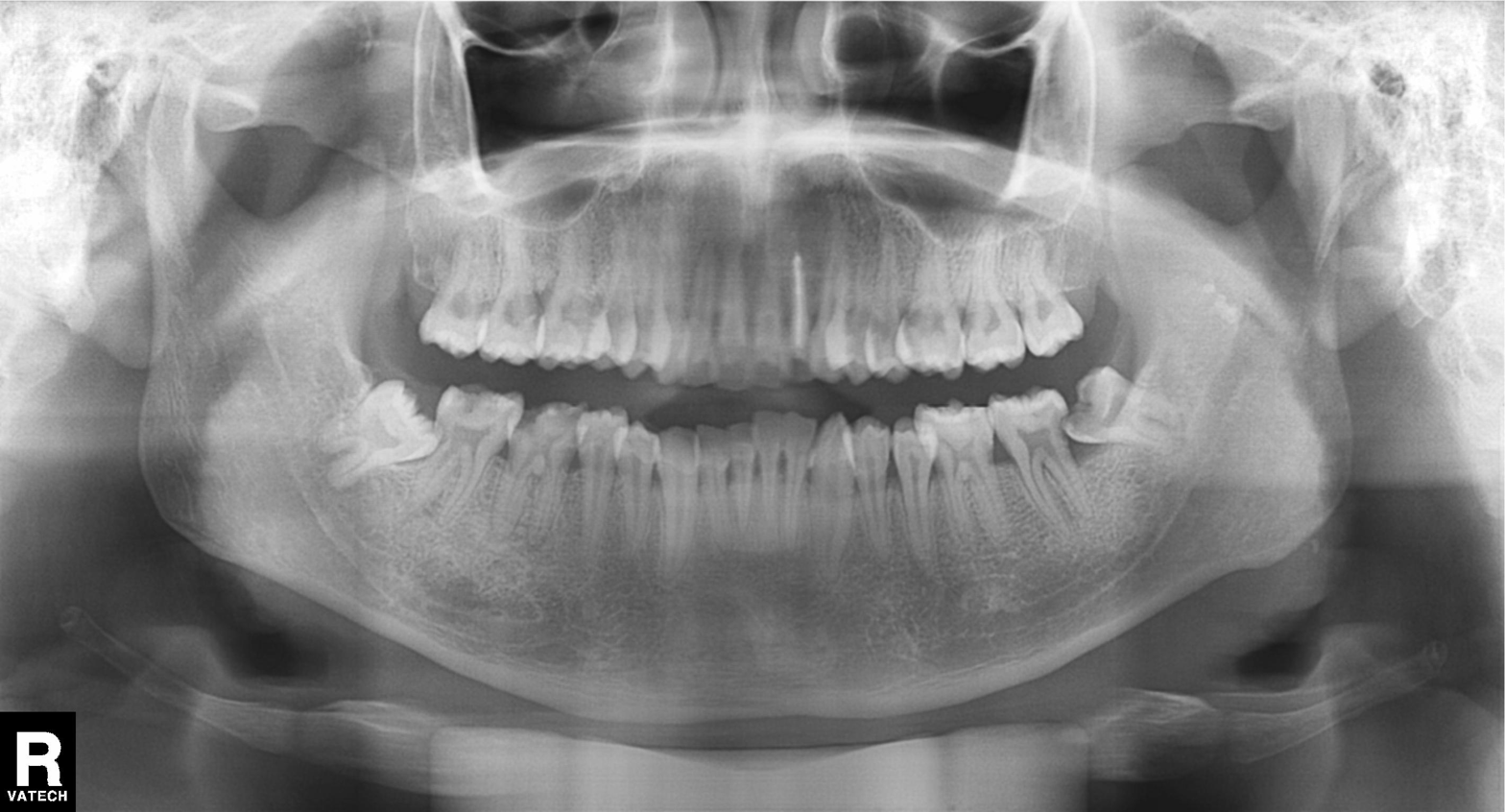
Panoramic dental radiograph (orthopantomogram).
Finding: alveolar bone loss.